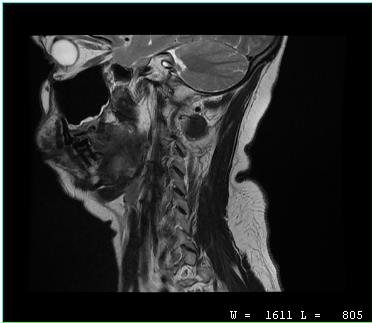
modality:
  type: cervical spine MRI
study_topic: cervical spondylosis